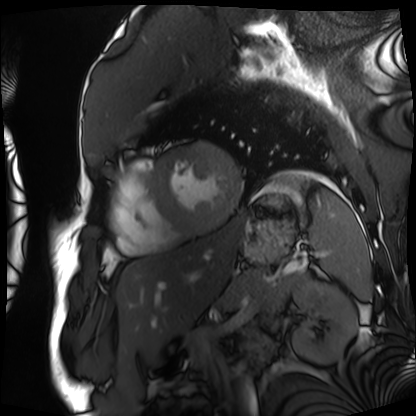
Case summary: Cardiac MRI. Subject group: patient.